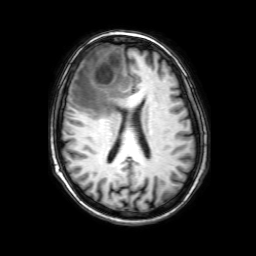
Q: What kind of scan is this?
A: 3 Tesla brain MRI.
Q: Series?
A: 3D T1-weighted with SENSE.
Study: ring-enhancing brain masses.